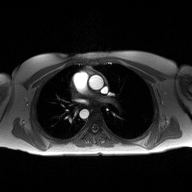
modality — 2D phase-contrast cine MRI of the ascending aorta.